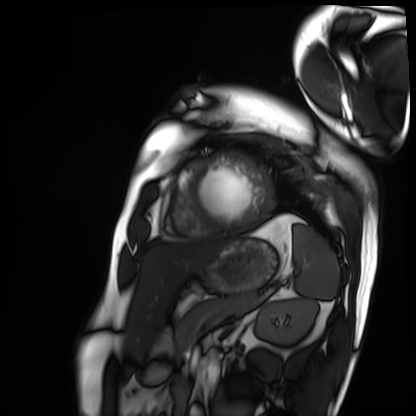
modality: cardiac MRI | subject group: patient.